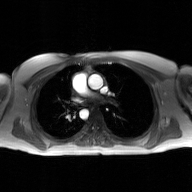
modality = 2D phase-contrast cine MRI of the ascending aorta, GAN super-resolution reconstruction.